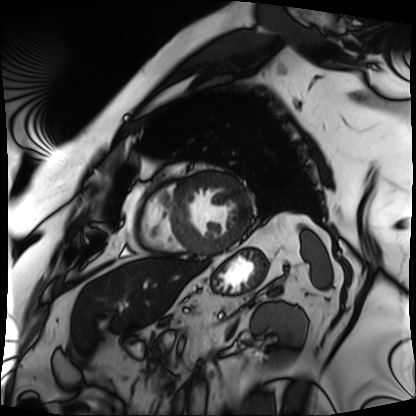
Cardiac MRI. Subject group: patient.